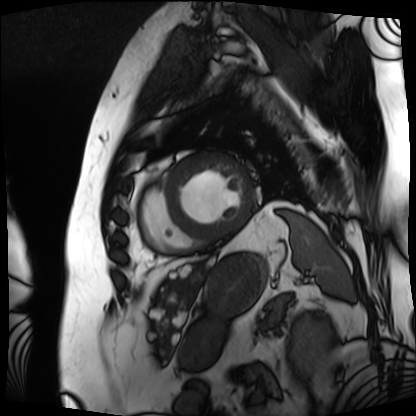
Cardiac MRI.
Subject group: patient.